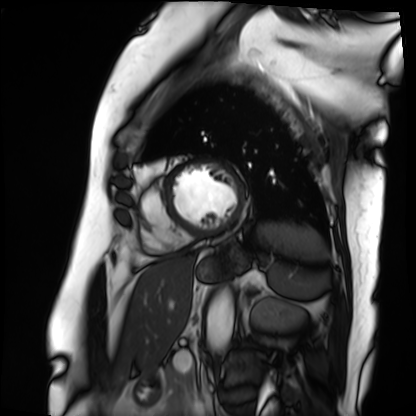
modality — cardiac MRI; subject group — patient.